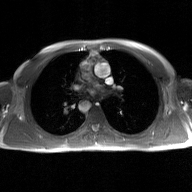
2D phase-contrast cine MRI of the ascending aorta, GAN super-resolution reconstruction.